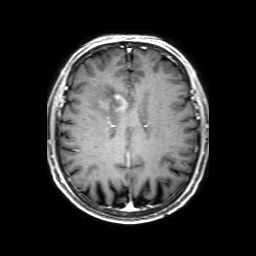
modality = 3 Tesla brain MRI | series = 3D T1-weighted with SENSE | study = ring-enhancing brain masses.